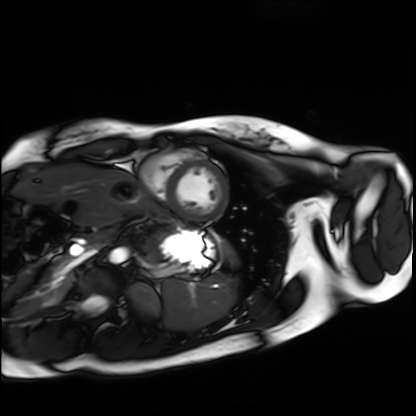
modality: cardiac MRI | subject group: healthy volunteer.